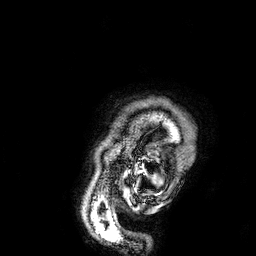
Summary:
3 Tesla brain MRI. Series: 3D T1-weighted. Study: ring-enhancing brain masses.